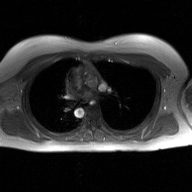
Q: What kind of scan is this?
A: 2D phase-contrast cine MRI of the ascending aorta, GAN super-resolution reconstruction.